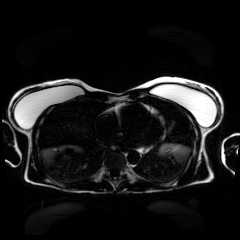
{
  "modality": "chemical-shift-encoded cardiac MRI"
}